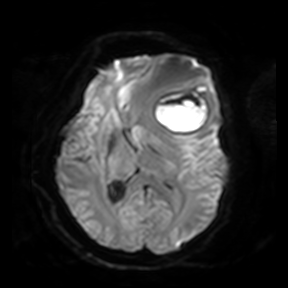
3 Tesla brain MRI. Series: diffusion-weighted imaging. Study: ring-enhancing brain masses.